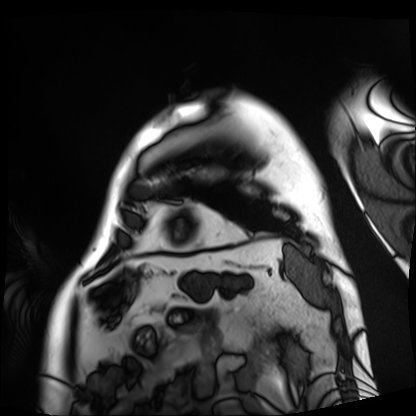
Summary:
Cardiac MRI. Subject group: patient.